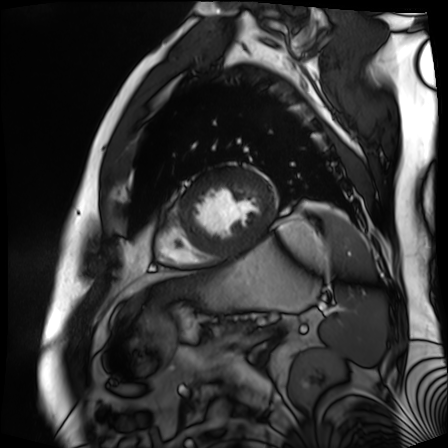
Cardiac MR image of the myocardium.
Subject cohort: cardiac patient.